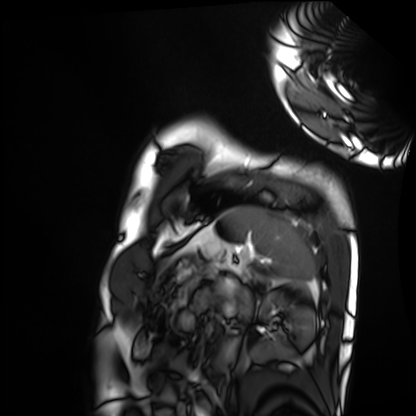
Case:
– modality: cardiac MRI
– subject group: healthy volunteer